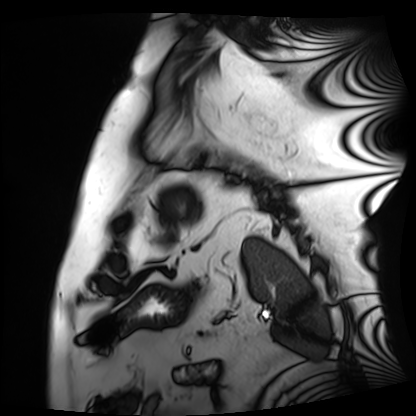
Summary:
Cardiac MRI. Subject group: patient.